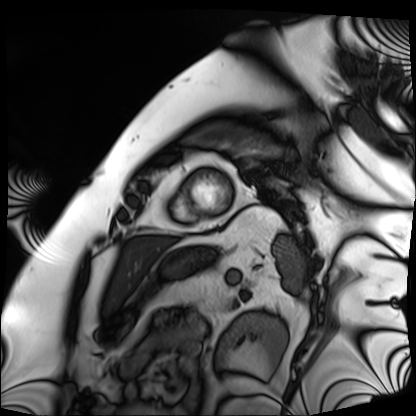
<record>
<modality>cardiac MRI</modality>
<cohort>patient</cohort>
</record>